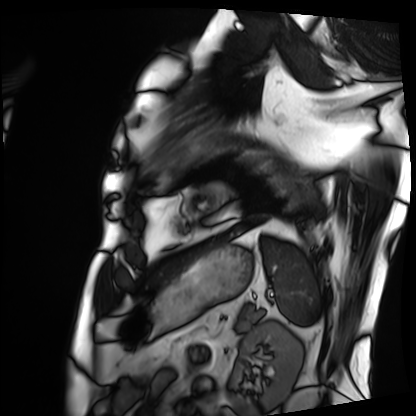
Summary: Cardiac MRI. Subject group: patient.